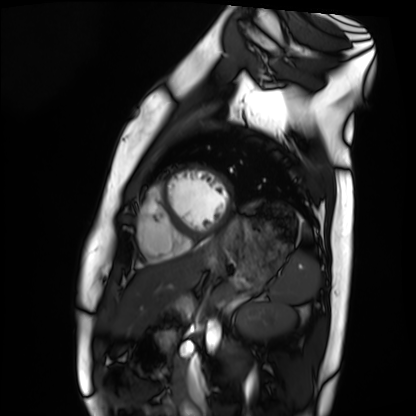
Summary: Cardiac MRI. Subject group: healthy volunteer.